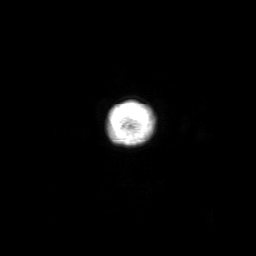
Case summary: 3 Tesla brain MRI. Series: 3D T1-weighted with SENSE. Study: ring-enhancing brain masses.